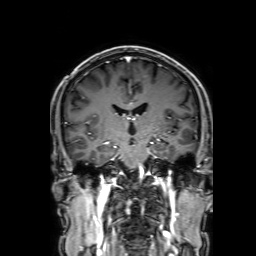
3 Tesla brain MRI. Series: 3D T1-weighted with SENSE. Study: ring-enhancing brain masses.